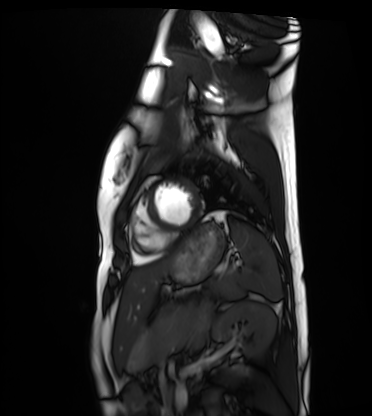
  modality: cardiac MRI
  cohort: healthy volunteer